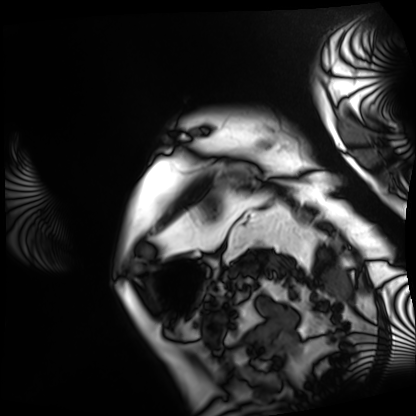
Cardiac MRI. Subject group: patient.